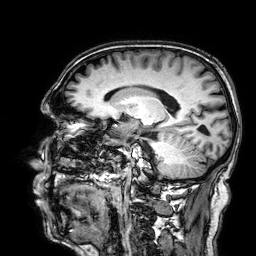
Q: What kind of scan is this?
A: 3 Tesla brain MRI.
Q: Series?
A: 3D T1-weighted.
Study: ring-enhancing brain masses.